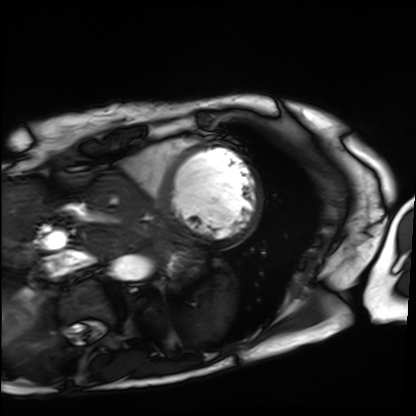
Clinical context: Cardiac MRI. Subject group: patient.